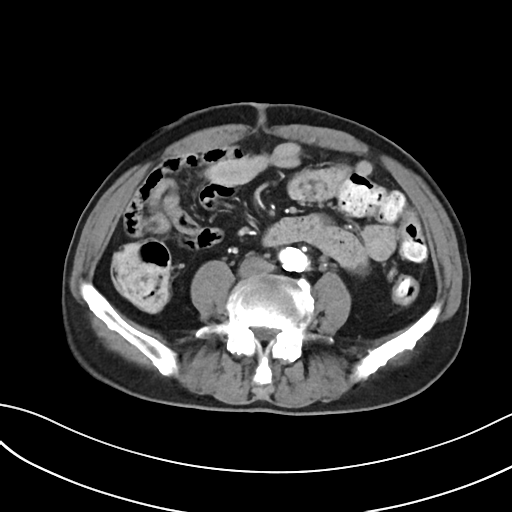
Multiphase abdominal CT, liver, arterial phase.